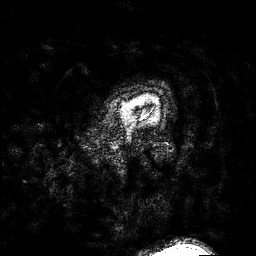
modality: 3 Tesla brain MRI
series: 3D T1-weighted turbo field echo with SENSE
study: ring-enhancing brain masses